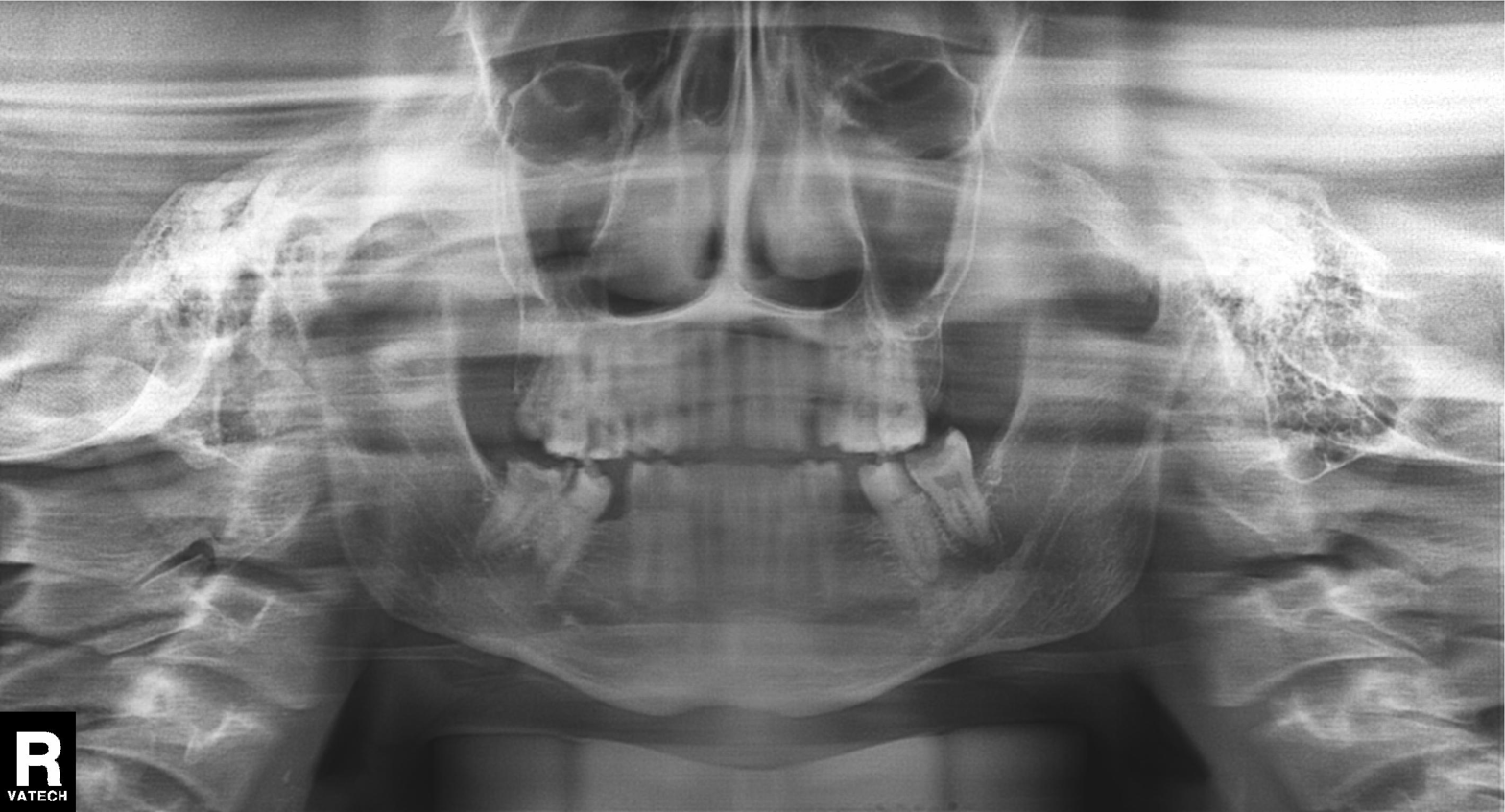
Panoramic dental radiograph (orthopantomogram). Finding: tooth impaction.